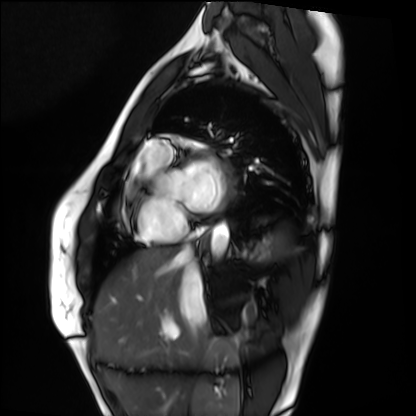
modality = cardiac MRI, subject group = healthy volunteer.